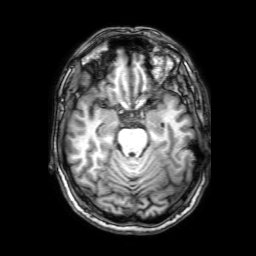
3 Tesla brain MRI.
Series: 3D T1-weighted with SENSE.
Study: ring-enhancing brain masses.